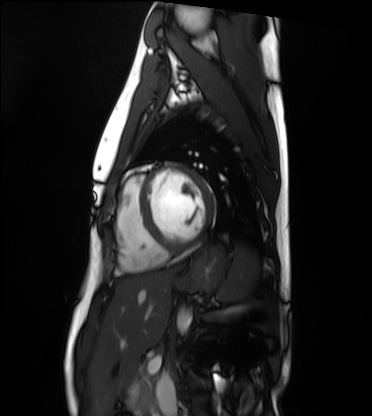
modality: cardiac MRI, subject group: healthy volunteer.